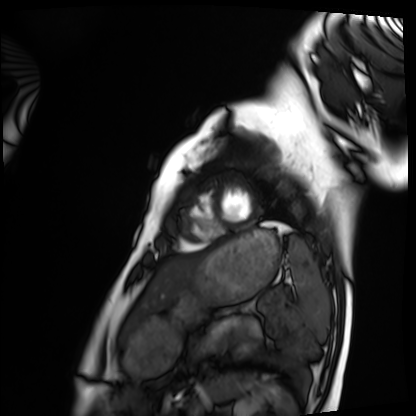
Cardiac MRI. Subject group: healthy volunteer.